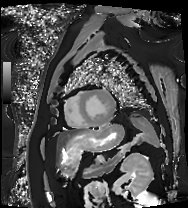
<record>
<modality>cardiac MRI</modality>
<cohort>patient</cohort>
</record>